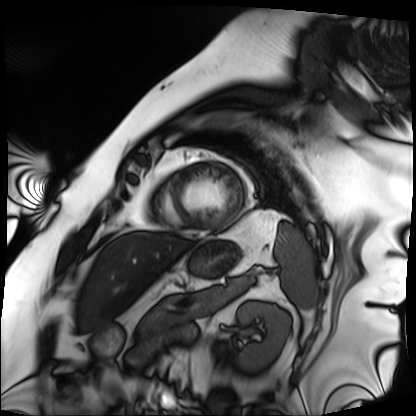
modality: cardiac MRI; subject group: patient.